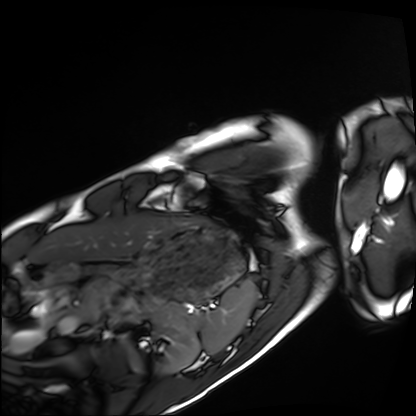
Cardiac MRI.
Subject group: healthy volunteer.